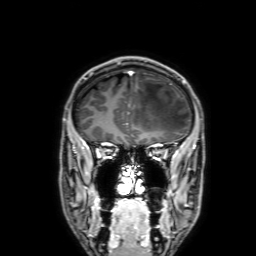
{"modality": {"type": "brain MRI", "field_strength": "3T"}, "series": "3D T1-weighted with SENSE", "study_topic": "ring-enhancing brain masses"}